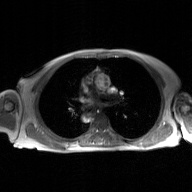
Q: What kind of scan is this?
A: 2D phase-contrast cine MRI of the ascending aorta, GAN super-resolution reconstruction.